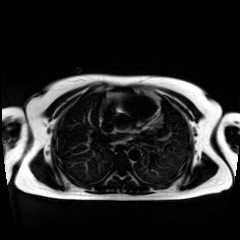
modality: chemical-shift-encoded cardiac MRI